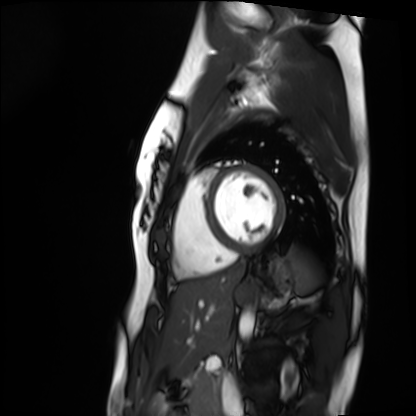
modality=cardiac MRI | subject group=healthy volunteer.